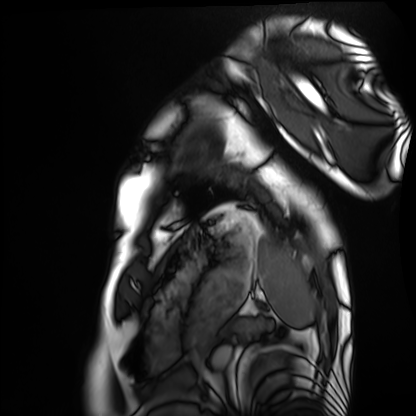
Cardiac MRI.
Subject group: healthy volunteer.